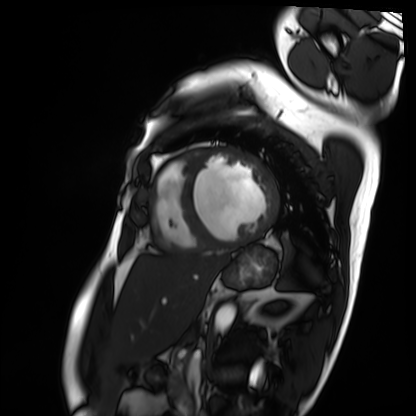
modality=cardiac MRI; subject group=patient.